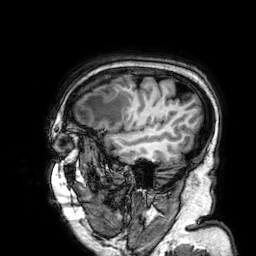
3 Tesla brain MRI. Series: 3D T1-weighted. Study: ring-enhancing brain masses.